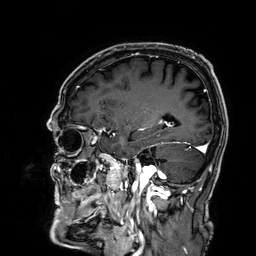
modality = 3 Tesla brain MRI | series = 3D T1-weighted | study = ring-enhancing brain masses.